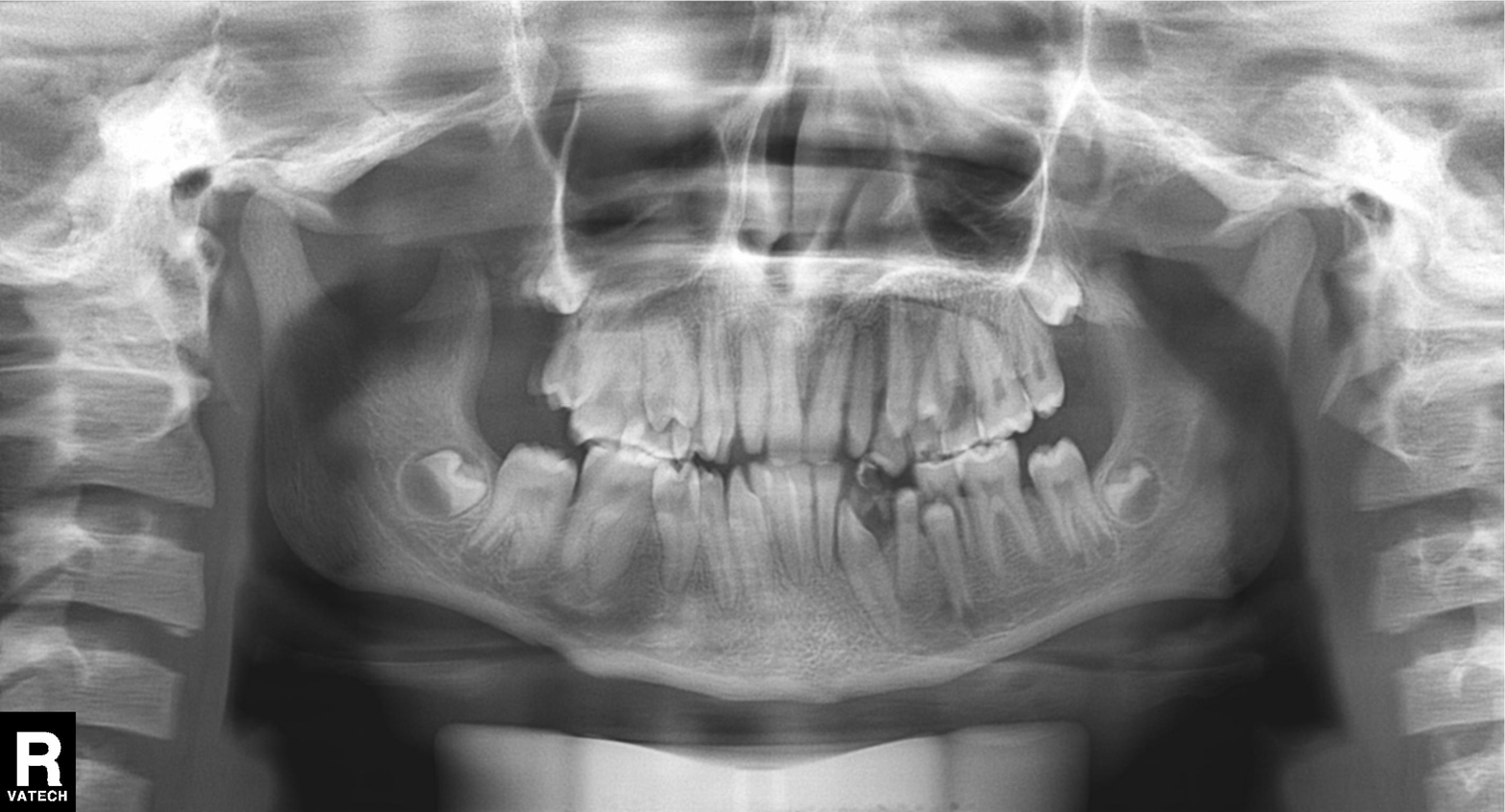
{
  "modality": "panoramic dental radiograph (orthopantomogram)",
  "finding": "tooth impaction"
}